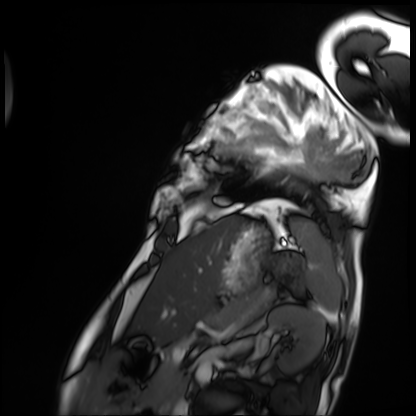
Cardiac MRI. Subject group: patient.